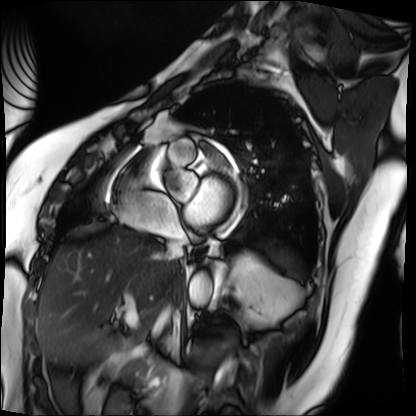
Q: What kind of scan is this?
A: Cardiac MRI.
Subject group: patient.